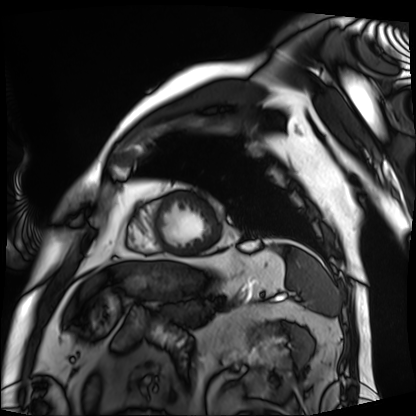
Cardiac MRI.
Subject group: patient.